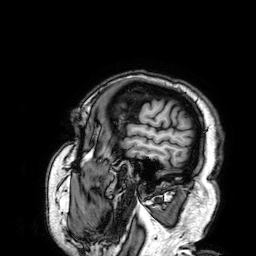
Clinical context: 3 Tesla brain MRI. Series: 3D T1-weighted. Study: ring-enhancing brain masses.